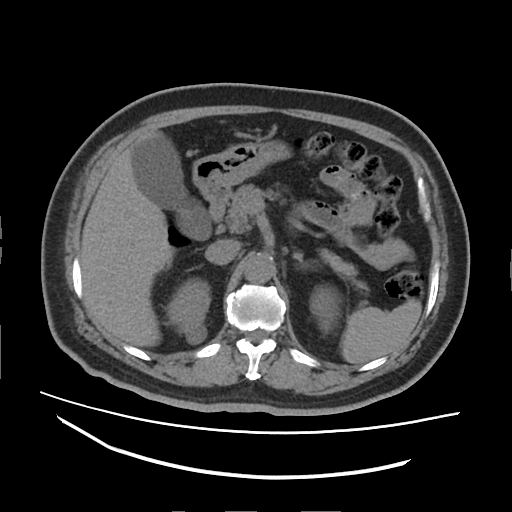
Q: What kind of scan is this?
A: Multiphase abdominal CT, liver, non-contrast phase.